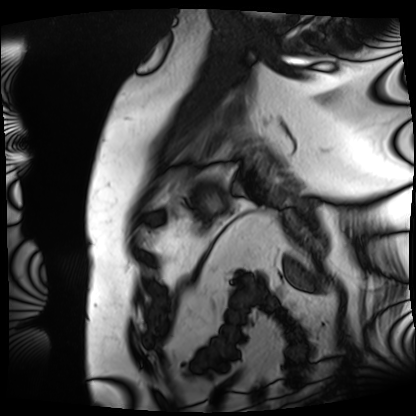
Cardiac MRI. Subject group: patient.